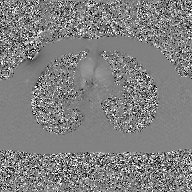
Case summary:
2D phase-contrast cine MRI of the ascending aorta, GAN super-resolution reconstruction.